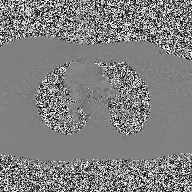
modality: 2D phase-contrast cine MRI of the ascending aorta.